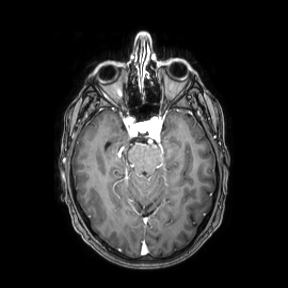
{"modality": {"type": "brain MRI", "field_strength": "3T"}, "series": "axial", "study_topic": "ring-enhancing brain masses"}